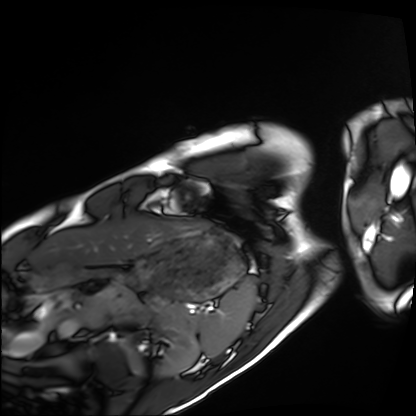
Summary:
Cardiac MRI. Subject group: healthy volunteer.